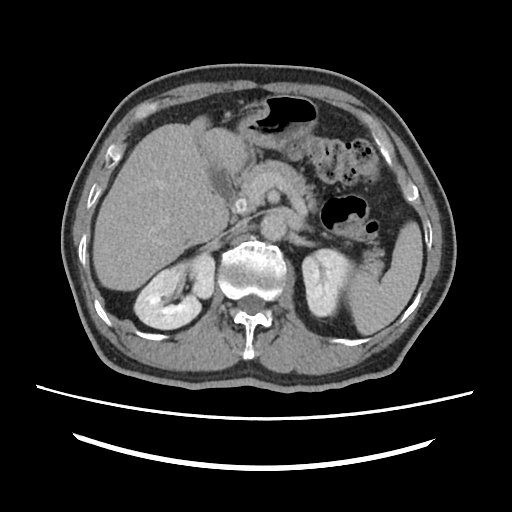
Q: What kind of scan is this?
A: Multiphase abdominal CT, liver, delayed phase.
Q: Patient?
A: Male, age 67.